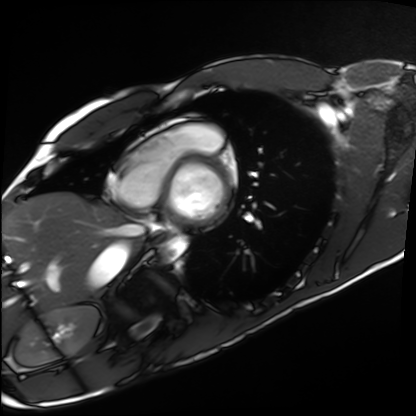
Case summary:
Cardiac MRI. Subject group: healthy volunteer.